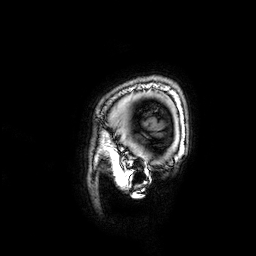
3 Tesla brain MRI.
Series: 3D T1-weighted.
Study: ring-enhancing brain masses.